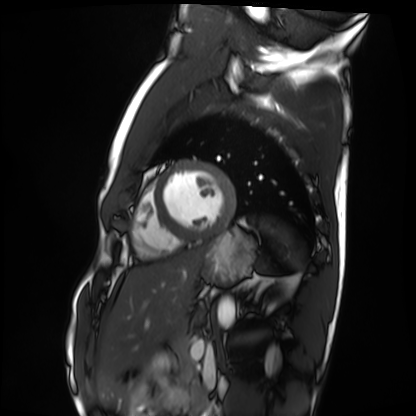
{"modality": "cardiac MRI", "cohort": "healthy volunteer"}